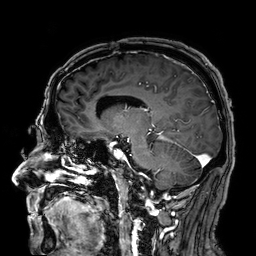
modality = 3 Tesla brain MRI
series = 3D T1-weighted
study = ring-enhancing brain masses